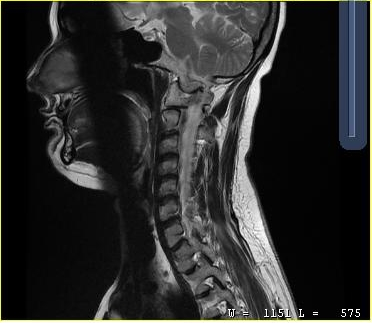
MRI of the cervical spine.
Study: cervical spondylosis.